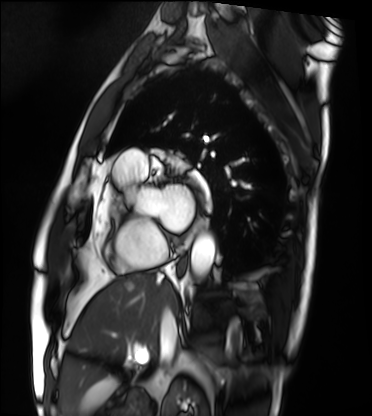
modality: cardiac MRI
cohort: patient